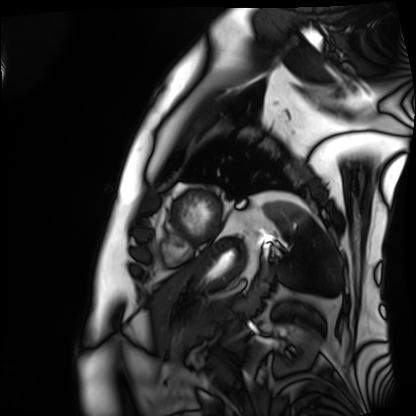
  modality: cardiac MRI
  cohort: patient